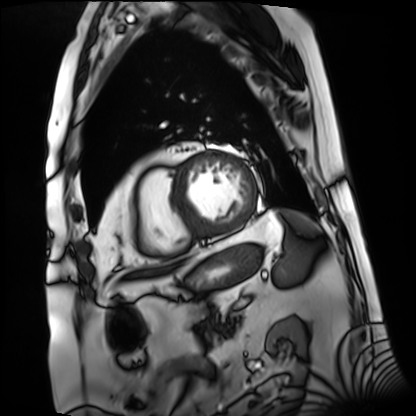
Cardiac MRI.
Subject group: patient.